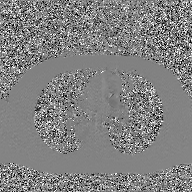
2D phase-contrast cine MRI of the ascending aorta, GAN super-resolution reconstruction.